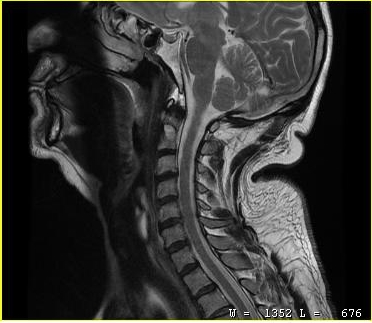
Q: What kind of scan is this?
A: MRI of the cervical spine.
Study: cervical spondylosis.